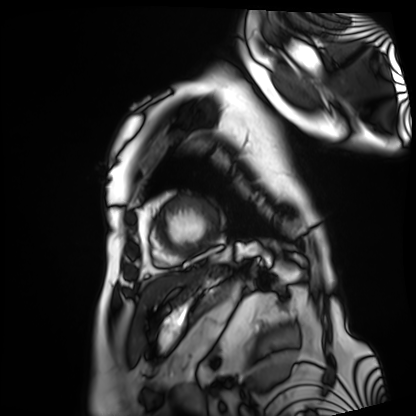
Q: What kind of scan is this?
A: Cardiac MRI.
Subject group: patient.